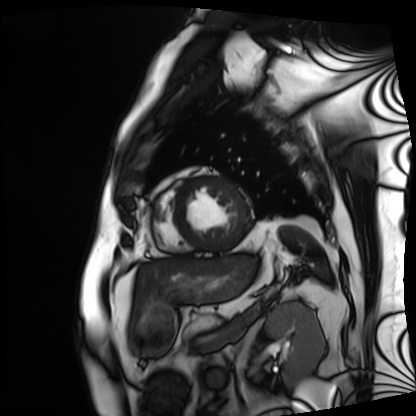
Cardiac MRI.
Subject group: patient.